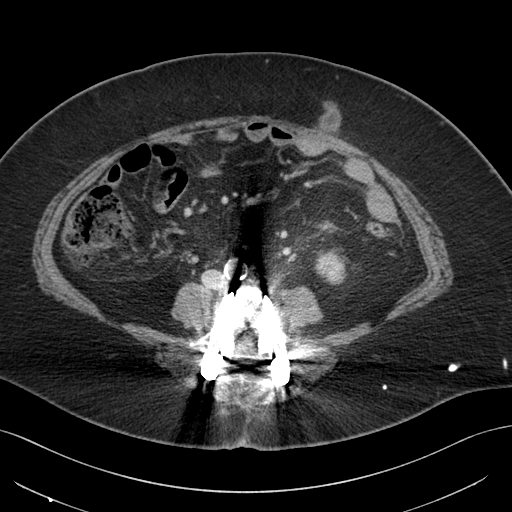
modality: multiphase abdominal CT, liver, portal venous phase | patient: female, age 65.